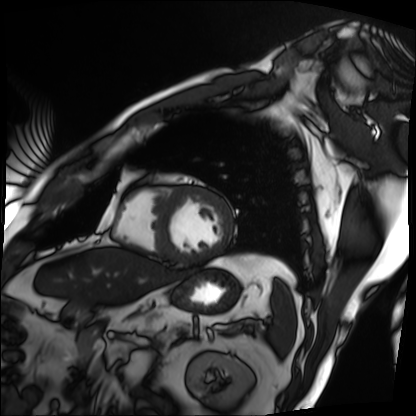
Cardiac MRI. Subject group: patient.